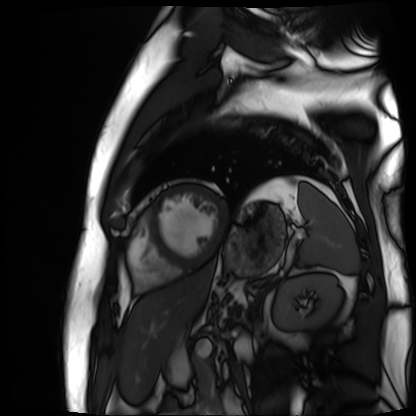
  modality: cardiac MR image of the myocardium
  cohort: cardiac patient